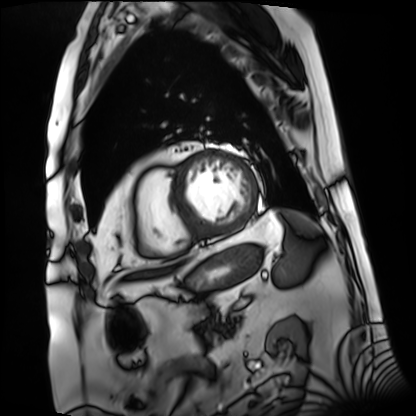
{
  "modality": "cardiac MRI",
  "cohort": "patient"
}